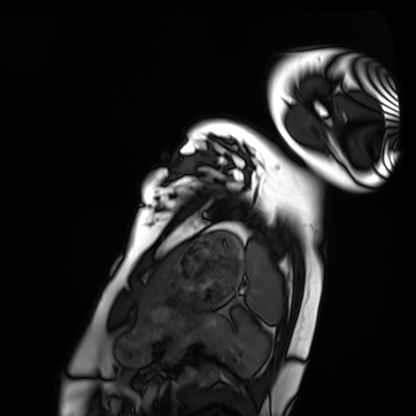
modality = cardiac MRI
subject group = healthy volunteer